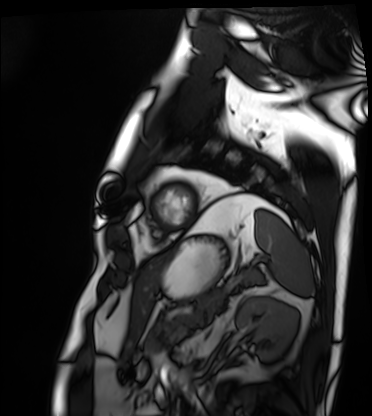
Cardiac MRI.
Subject group: patient.